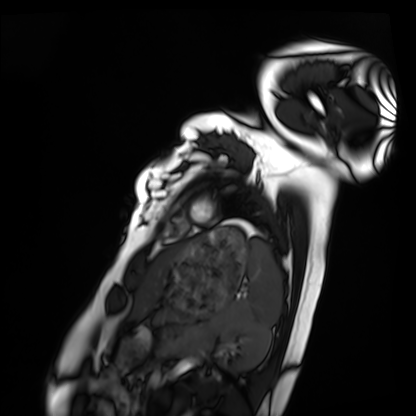
modality: cardiac MRI
subject group: healthy volunteer